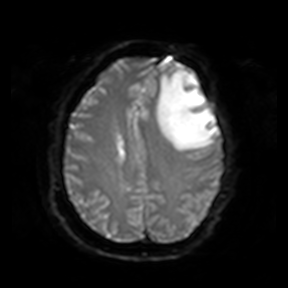
3 Tesla brain MRI. Series: diffusion-weighted imaging. Study: ring-enhancing brain masses.